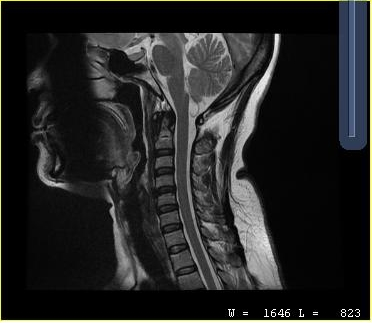
modality: MRI of the cervical spine
study: cervical spondylosis